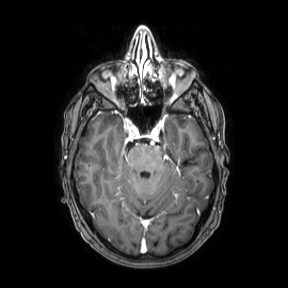
Q: What kind of scan is this?
A: 3 Tesla brain MRI.
Q: Series?
A: Axial.
Study: ring-enhancing brain masses.